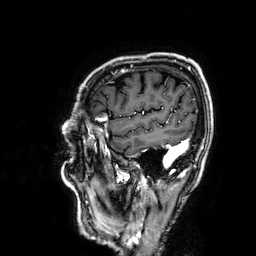
3 Tesla brain MRI.
Series: 3D T1-weighted.
Study: ring-enhancing brain masses.